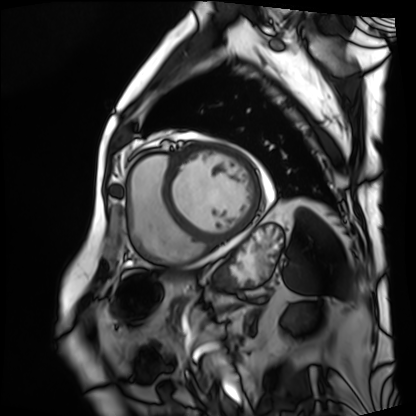
Q: What kind of scan is this?
A: Cardiac MRI.
Subject group: patient.